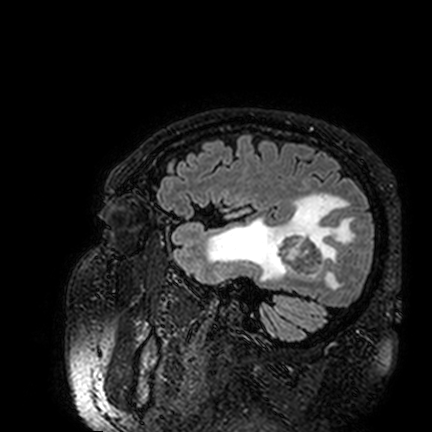
modality = 3 Tesla brain MRI | series = FLAIR VISTA | study = ring-enhancing brain masses.